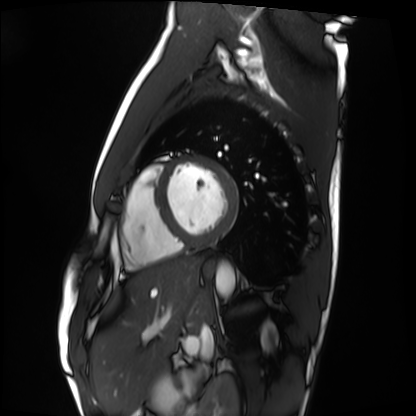
  modality: cardiac MRI
  cohort: healthy volunteer